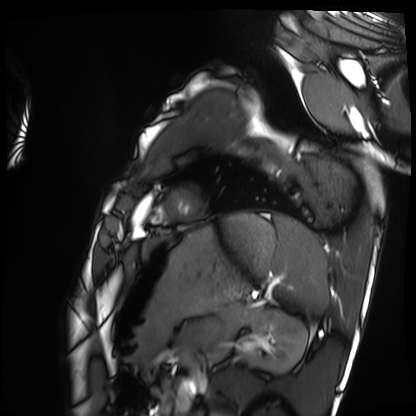
Cardiac MRI.
Subject group: healthy volunteer.